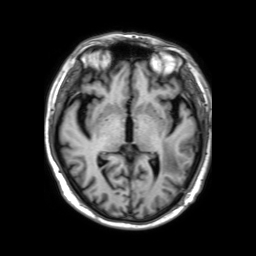
3 Tesla brain MRI.
Study: ring-enhancing brain masses.